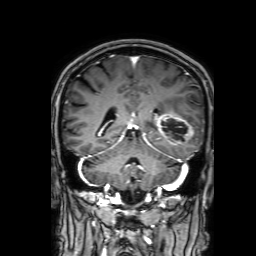
{
  "modality": {
    "type": "brain MRI",
    "field_strength": "3T"
  },
  "series": "3D T1-weighted with SENSE",
  "study_topic": "ring-enhancing brain masses"
}